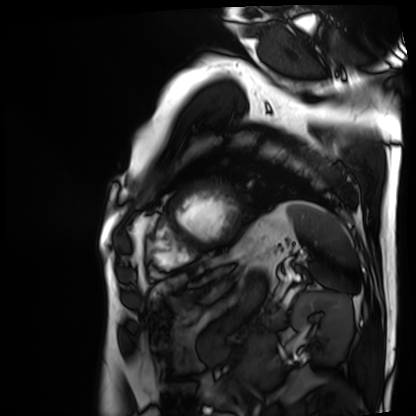
modality: cardiac MRI
subject group: patient